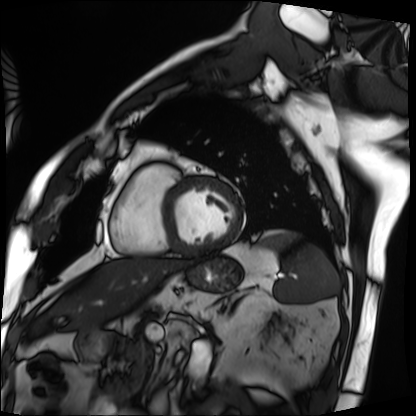
modality: cardiac MRI, subject group: patient.